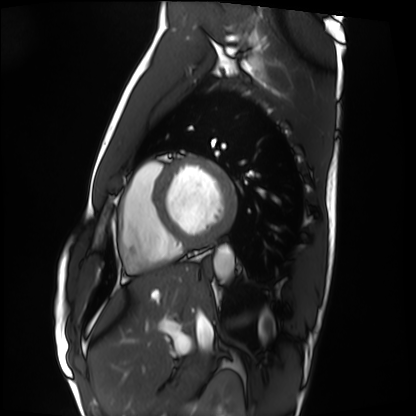
Cardiac MRI. Subject group: healthy volunteer.